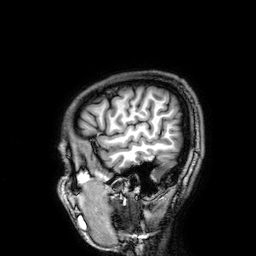
Clinical context: 3 Tesla brain MRI. Series: 3D T1-weighted. Study: ring-enhancing brain masses.